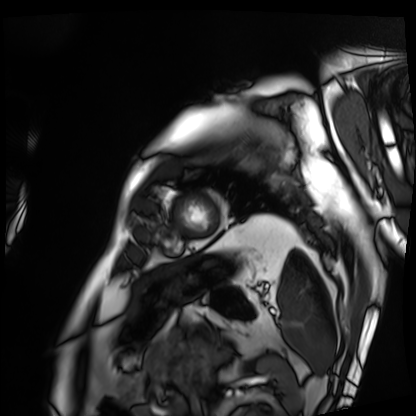
modality: cardiac MRI, subject group: patient.